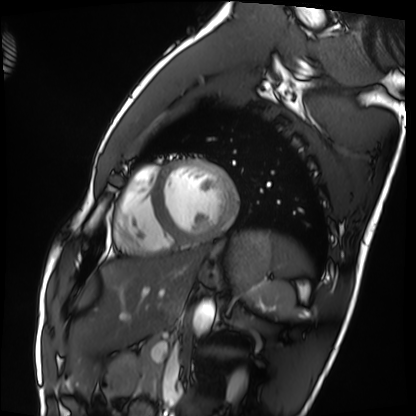
modality: cardiac MRI
subject group: healthy volunteer